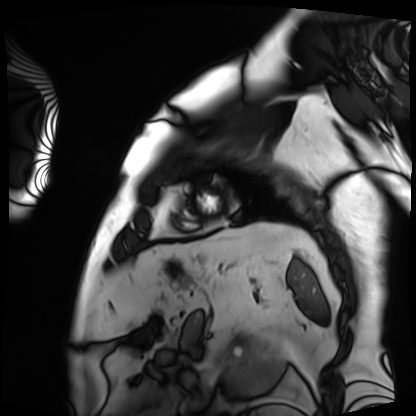
modality: cardiac MRI, subject group: patient.